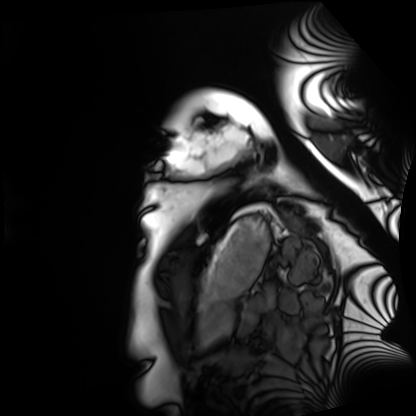
Case summary:
Cardiac MRI. Subject group: healthy volunteer.